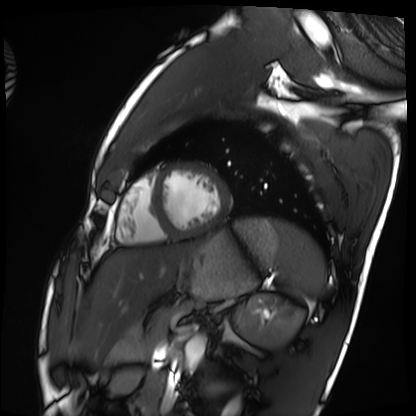
Cardiac MRI.
Subject group: healthy volunteer.